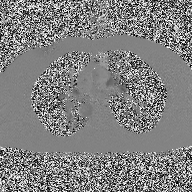
Summary:
2D phase-contrast cine MRI of the ascending aorta, high-resolution GRAPPA acquisition.